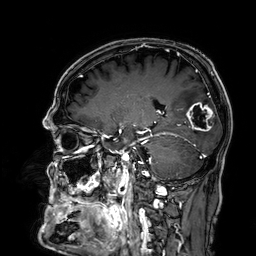
3 Tesla brain MRI.
Series: 3D T1-weighted.
Study: ring-enhancing brain masses.